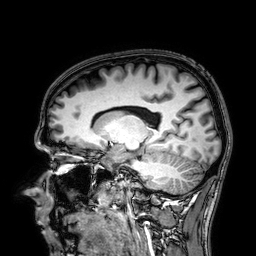
3 Tesla brain MRI.
Study: ring-enhancing brain masses.